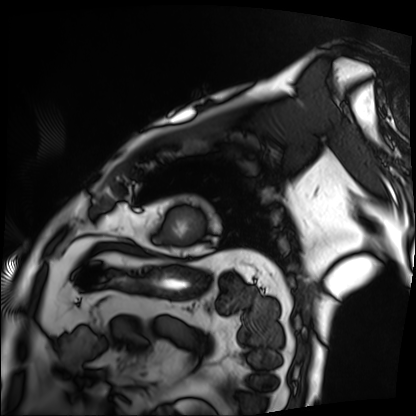
Cardiac MRI. Subject group: patient.